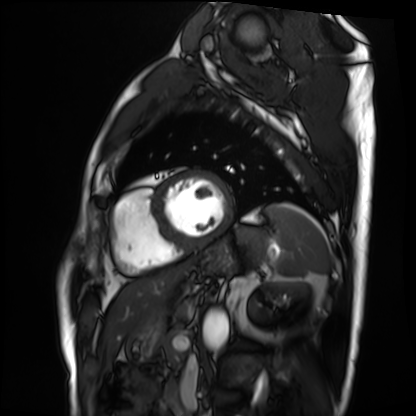
Cardiac MRI. Subject group: patient.